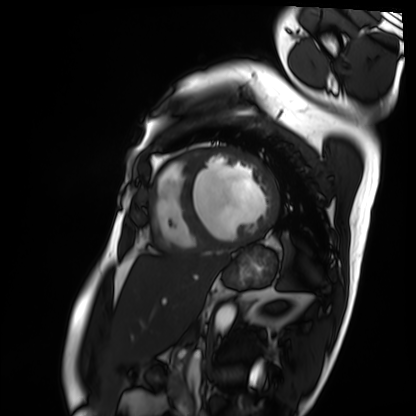
Cardiac MRI. Subject group: patient.